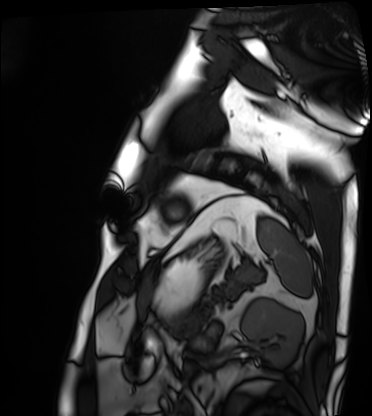
Cardiac MRI. Subject group: patient.